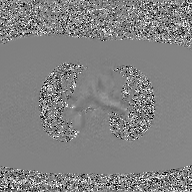
2D phase-contrast cine MRI of the ascending aorta, GAN super-resolution reconstruction.